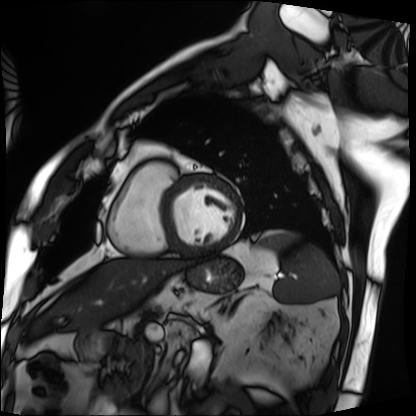
modality: cardiac MRI, subject group: patient.